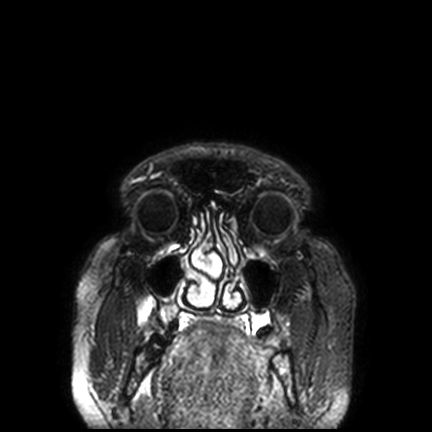
3 Tesla brain MRI. Series: FLAIR VISTA with SENSE. Study: ring-enhancing brain masses.